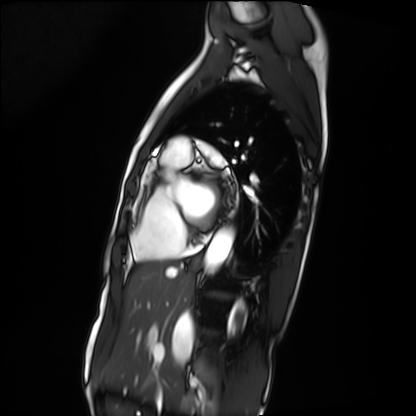
Q: What kind of scan is this?
A: Cardiac MRI.
Subject group: patient.